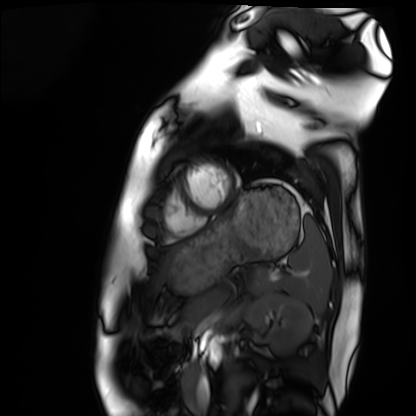
<record>
  <modality>cardiac MRI</modality>
  <cohort>healthy volunteer</cohort>
</record>